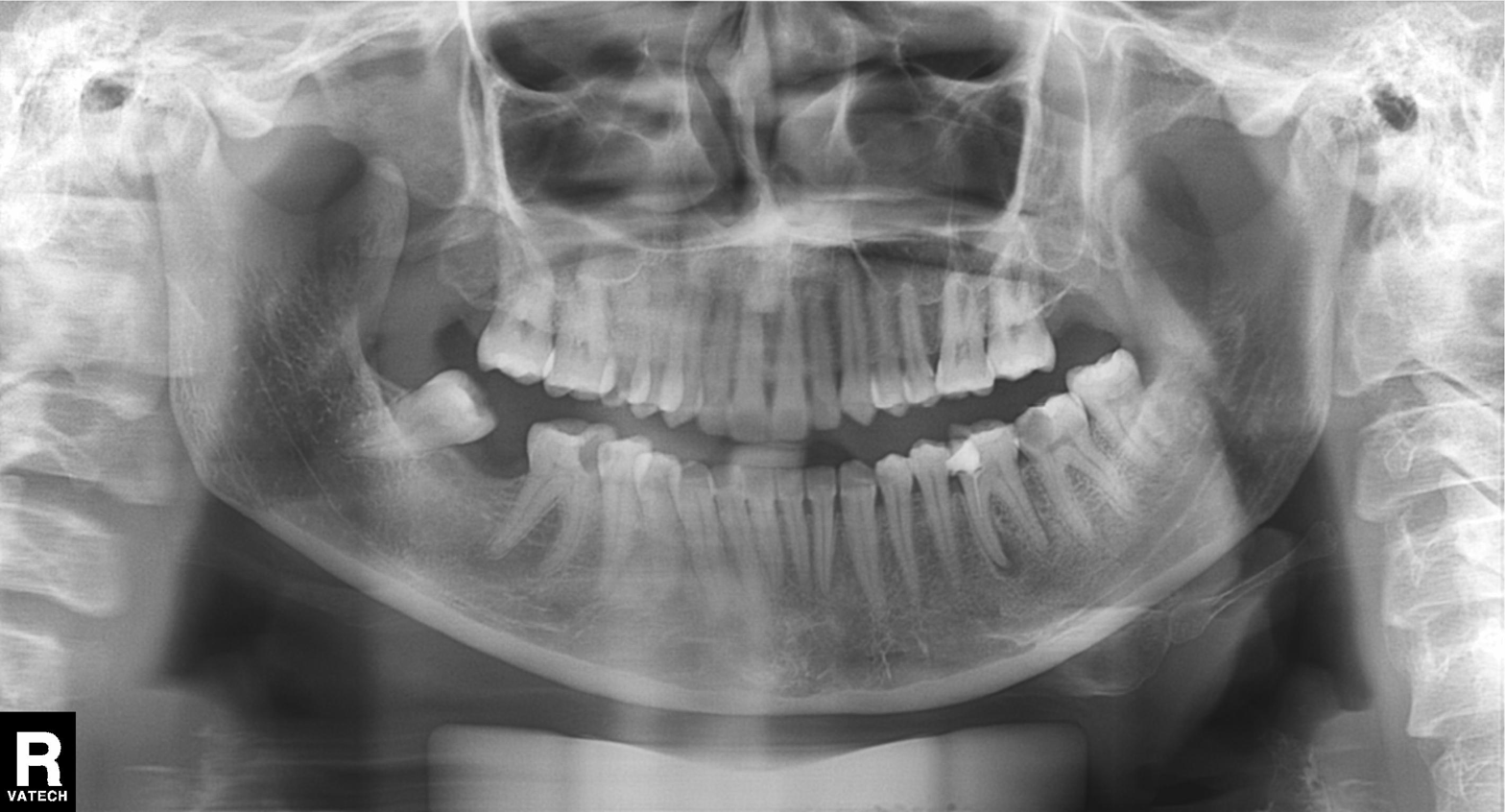
Summary:
Panoramic dental radiograph (orthopantomogram).
Conclusion:
Dental caries (cavities).